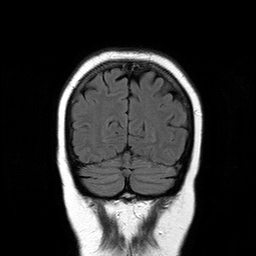
modality — 3 Tesla brain MRI | series — T2-weighted FLAIR | study — ring-enhancing brain masses.